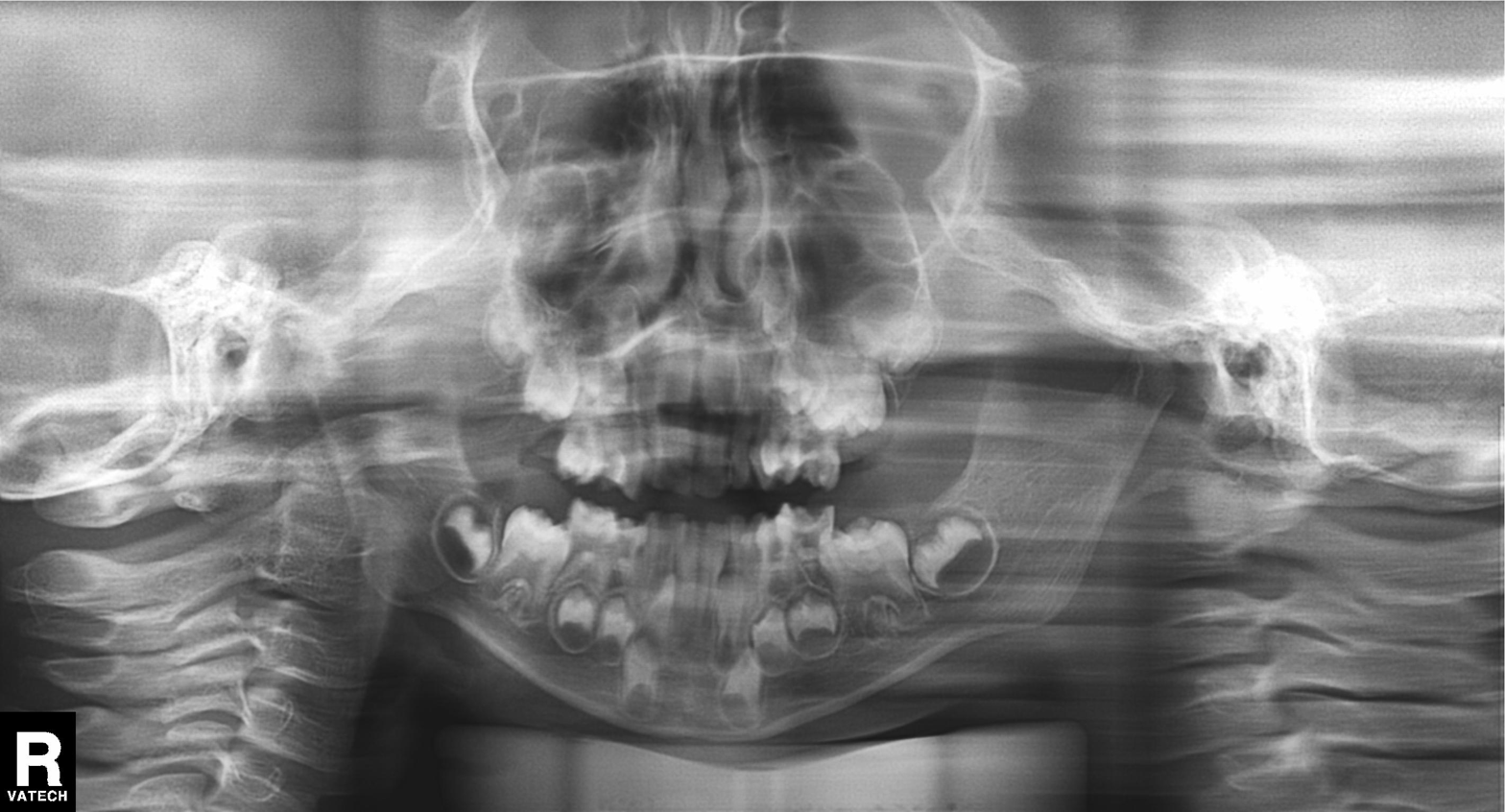
Summary:
Panoramic dental radiograph (orthopantomogram).
Conclusion:
Alveolar bone loss.